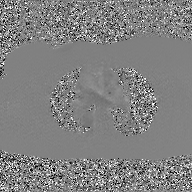
2D phase-contrast cine MRI of the ascending aorta, GAN super-resolution reconstruction.